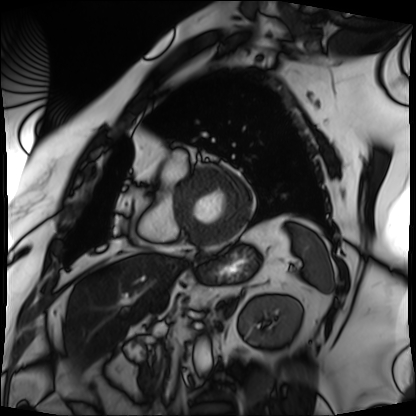
  modality: cardiac MRI
  cohort: patient